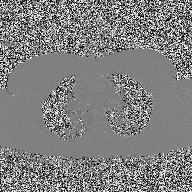
2D phase-contrast cine MRI of the ascending aorta, high-resolution GRAPPA acquisition.